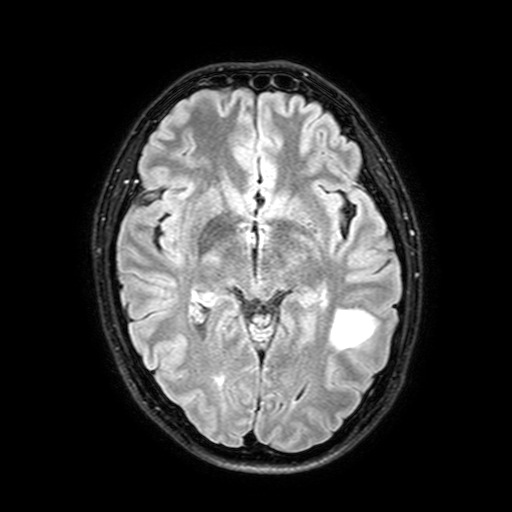
3 Tesla brain MRI.
Series: FLAIR with SPAIR, 3 mm.
Study: ring-enhancing brain masses.